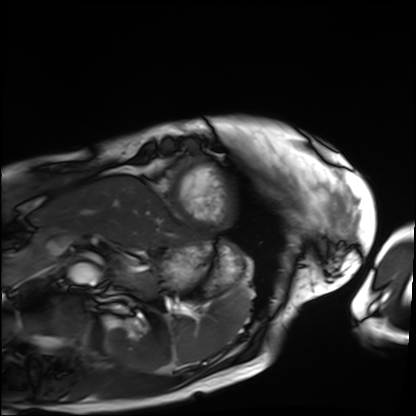
<case>
  <modality>cardiac MRI</modality>
  <cohort>patient</cohort>
</case>